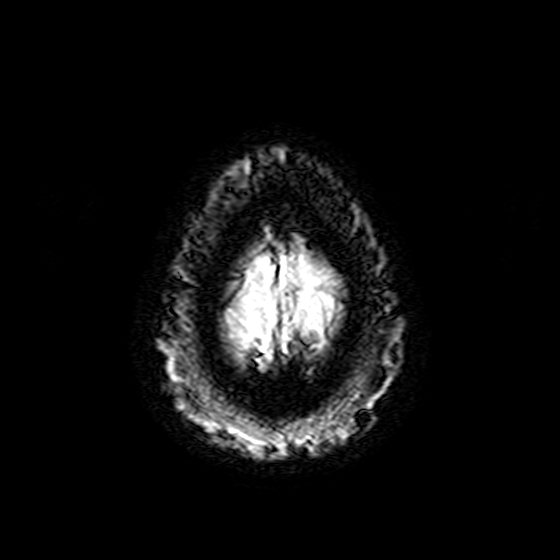
modality: 3 Tesla brain MRI; series: T2-weighted fast field echo; study: ring-enhancing brain masses.